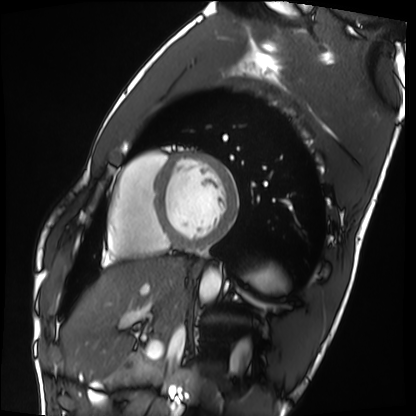
Cardiac MRI. Subject group: healthy volunteer.